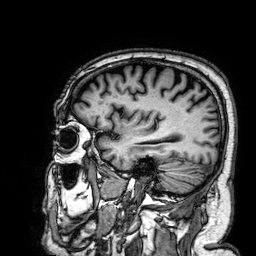
modality = 3 Tesla brain MRI; series = 3D T1-weighted; study = ring-enhancing brain masses.